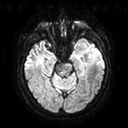
Q: What kind of scan is this?
A: 3 Tesla brain MRI.
Q: Series?
A: Diffusion tensor imaging (medium iso).
Study: ring-enhancing brain masses.